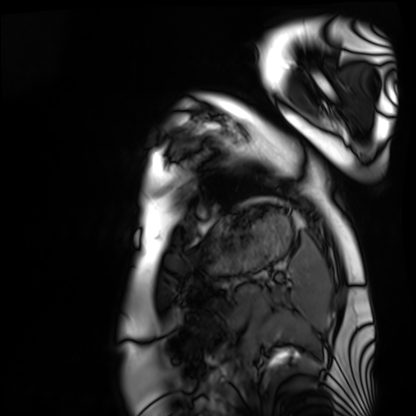
modality = cardiac MRI
subject group = healthy volunteer